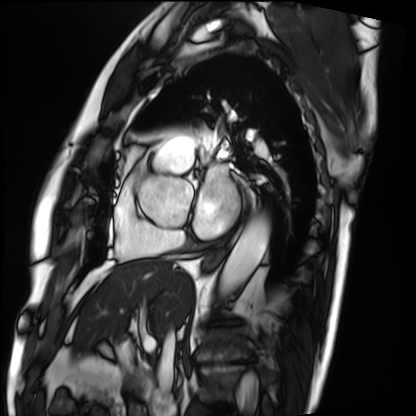
Q: What kind of scan is this?
A: Cardiac MRI.
Subject group: patient.